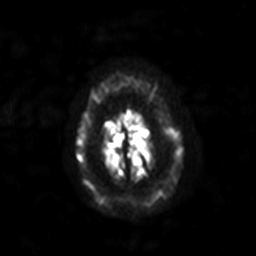
- modality · 3 Tesla brain MRI
- series · diffusion-weighted imaging with SENSE (WIP)
- study · ring-enhancing brain masses